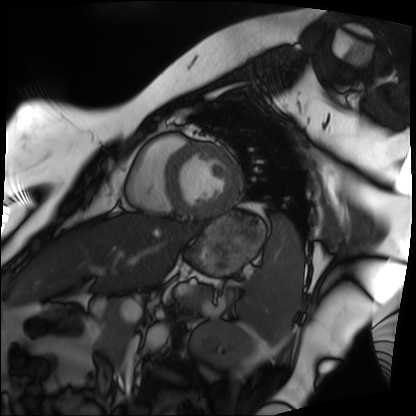
modality: cardiac MRI; subject group: patient.